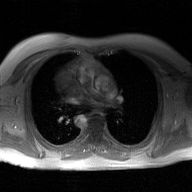
2D phase-contrast cine MRI of the ascending aorta, GAN super-resolution reconstruction.